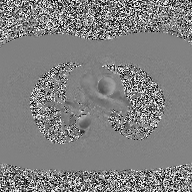
Summary:
2D phase-contrast cine MRI of the ascending aorta, high-resolution GRAPPA acquisition.